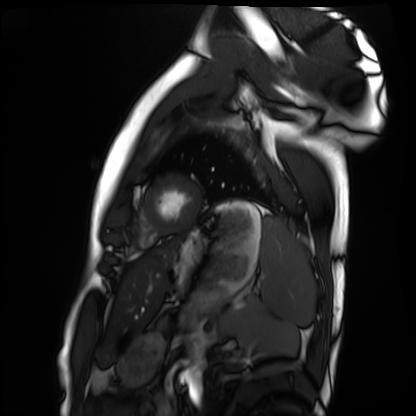
• modality · cardiac MRI
• subject group · healthy volunteer